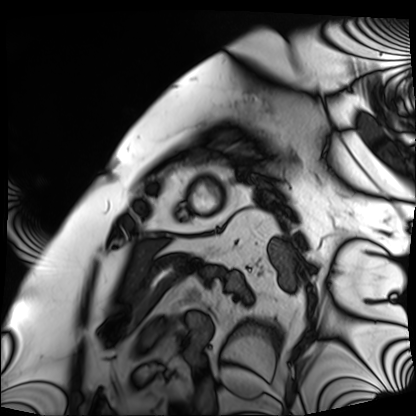
– modality: cardiac MRI
– subject group: patient